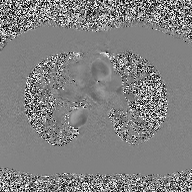
2D phase-contrast cine MRI of the ascending aorta, high-resolution GRAPPA acquisition.